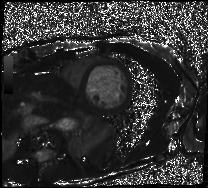
Summary:
Cardiac MRI. Subject group: patient.